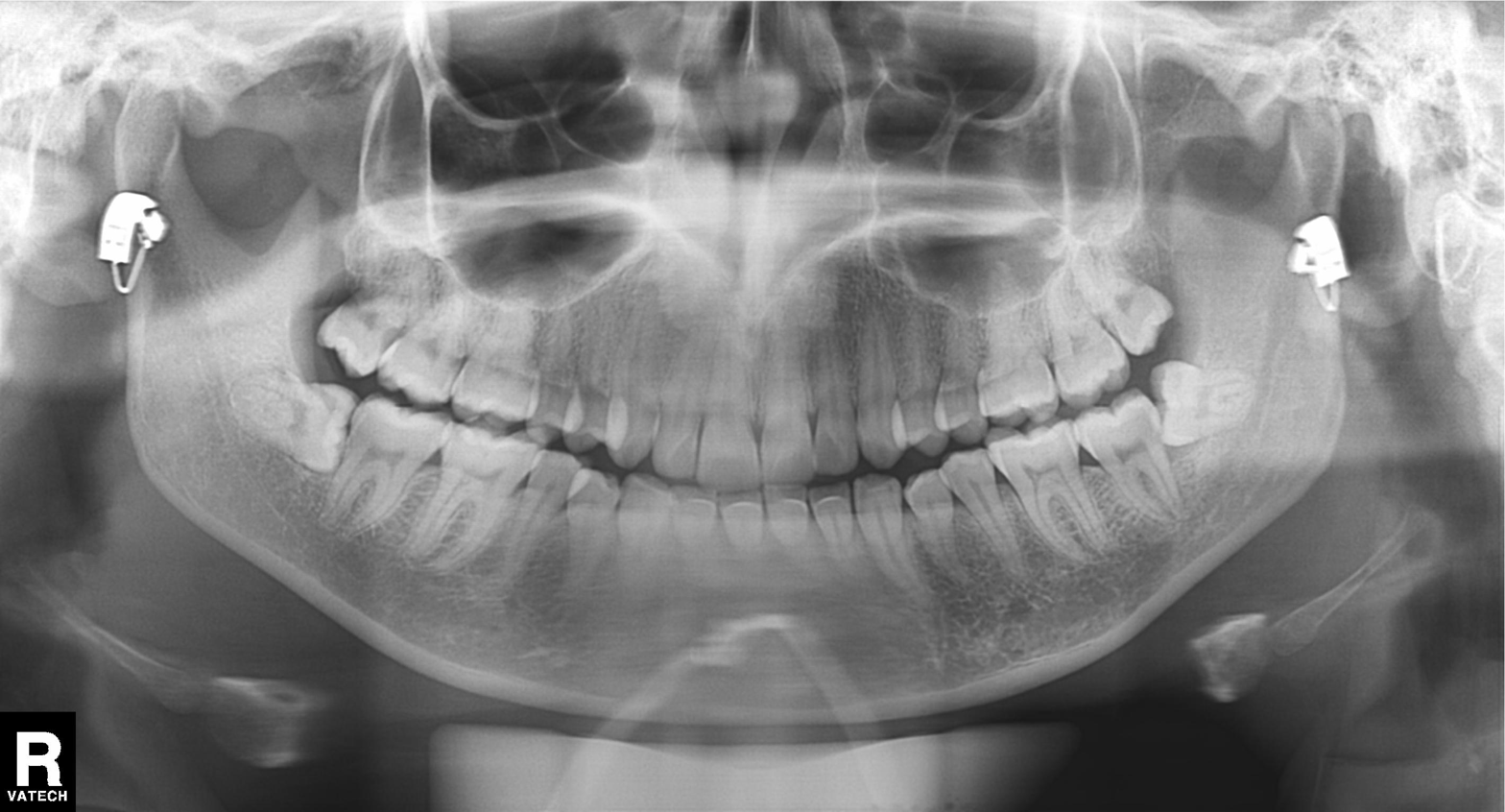
{"modality": "panoramic dental radiograph (orthopantomogram)", "finding": "tooth impaction"}